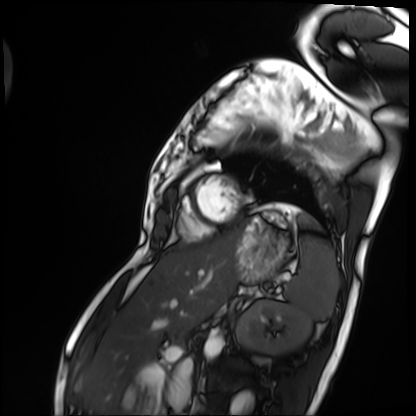
* modality — cardiac MRI
* subject group — patient